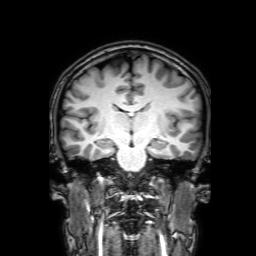
– modality: 3 Tesla brain MRI
– series: 3D T1-weighted with SENSE
– study: ring-enhancing brain masses